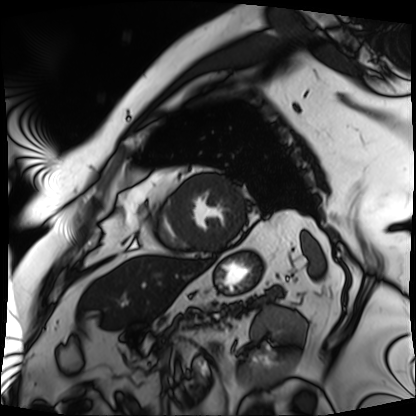
• modality — cardiac MRI
• subject group — patient